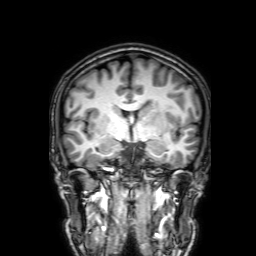
modality = 3 Tesla brain MRI | series = 3D T1-weighted with SENSE | study = ring-enhancing brain masses.